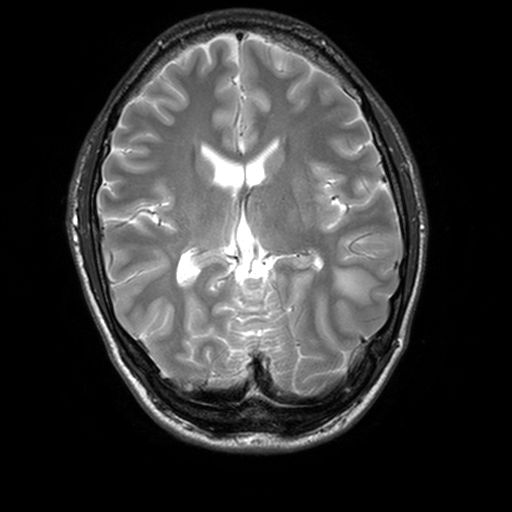
Q: What kind of scan is this?
A: 3 Tesla brain MRI.
Q: Series?
A: T2-weighted turbo spin echo, 3 mm.
Study: ring-enhancing brain masses.